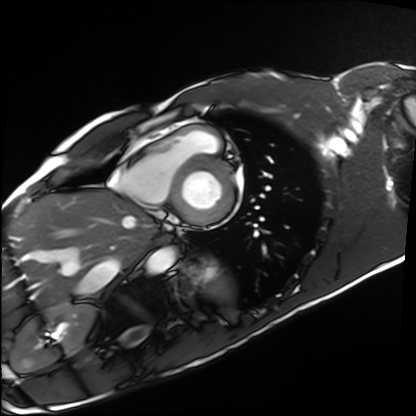
Cardiac MRI. Subject group: healthy volunteer.